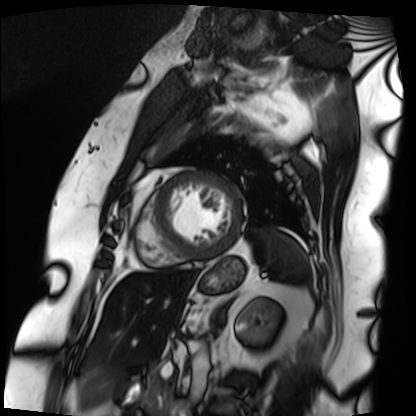
Cardiac MRI. Subject group: patient.